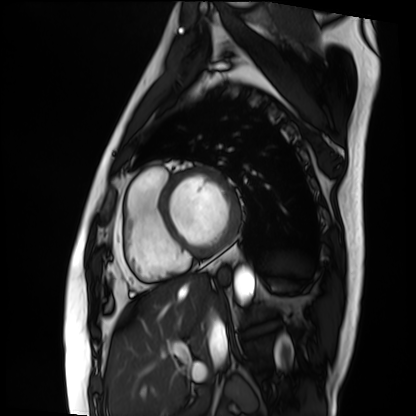
Summary: Cardiac MRI. Subject group: patient.